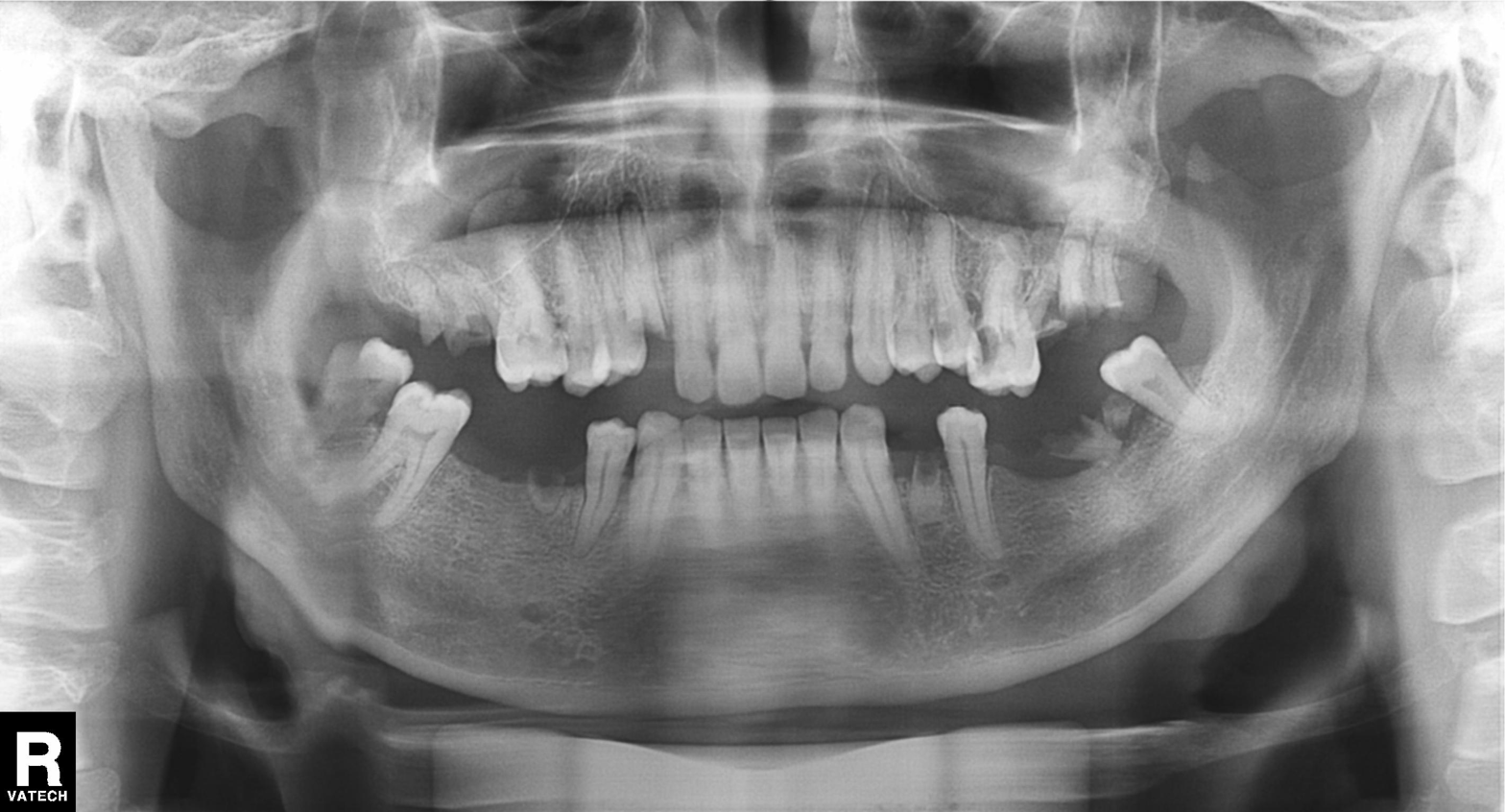
modality — panoramic dental radiograph (orthopantomogram); finding — alveolar bone loss.